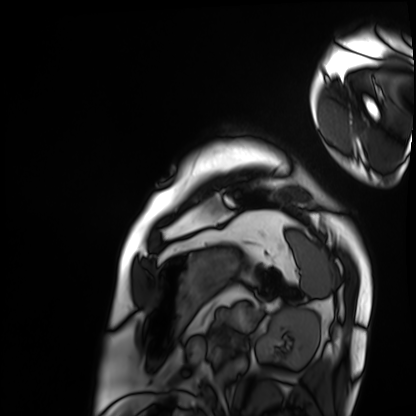
modality: cardiac MRI; subject group: patient.